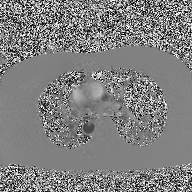
Case:
– modality · 2D phase-contrast cine MRI of the ascending aorta